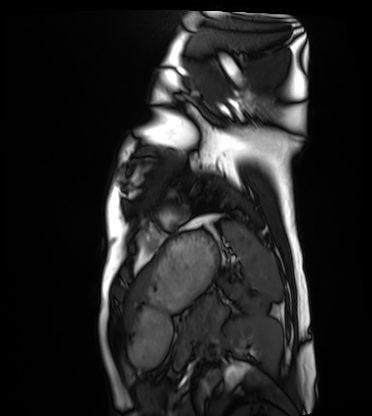
Summary:
Cardiac MRI. Subject group: healthy volunteer.